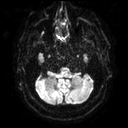
- modality — 3 Tesla brain MRI
- series — diffusion tensor imaging (medium iso)
- study — ring-enhancing brain masses